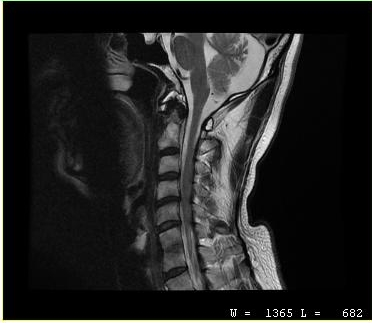
MRI of the cervical spine. Study: cervical spondylosis.